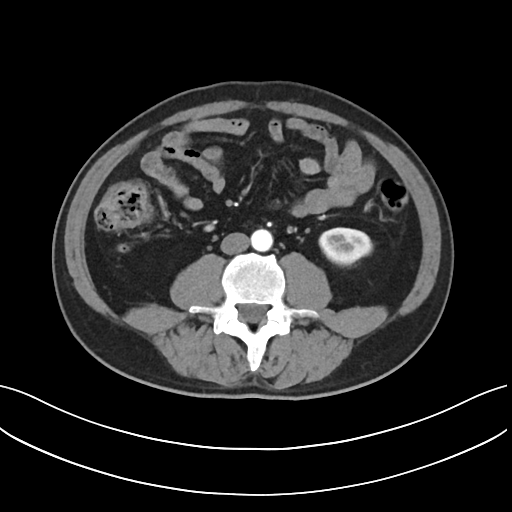
Clinical context:
Multiphase abdominal CT, liver, arterial phase. Patient: male, age 51. History: prior chemotherapy.